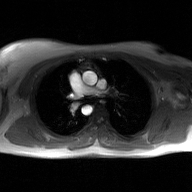
Q: What kind of scan is this?
A: 2D phase-contrast cine MRI of the ascending aorta, GAN super-resolution reconstruction.